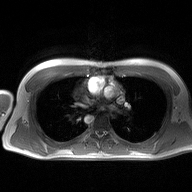
2D phase-contrast cine MRI of the ascending aorta, high-resolution GRAPPA acquisition.